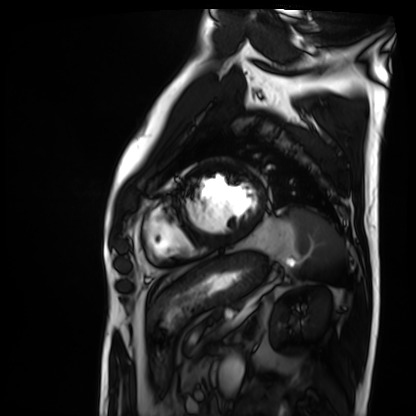
modality — cardiac MRI | subject group — patient.